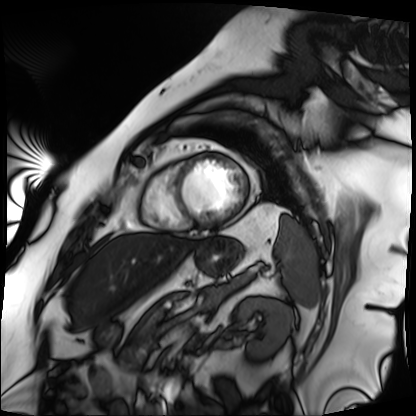
modality — cardiac MRI; subject group — patient.